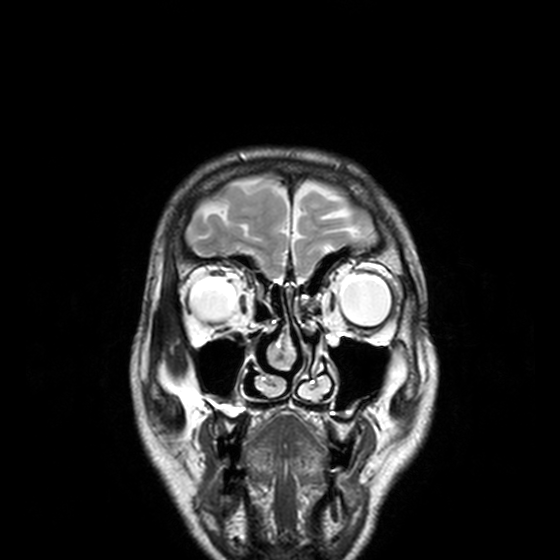
* modality — 3 Tesla brain MRI
* series — T2-weighted turbo spin echo, 3 mm
* study — ring-enhancing brain masses